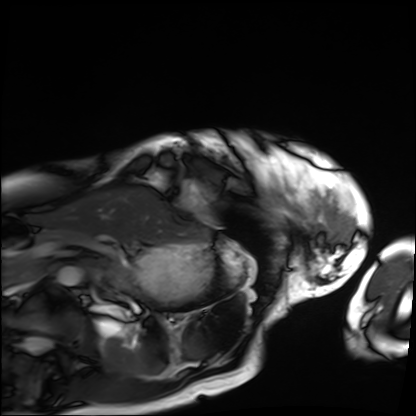
{"modality": "cardiac MRI", "cohort": "patient"}